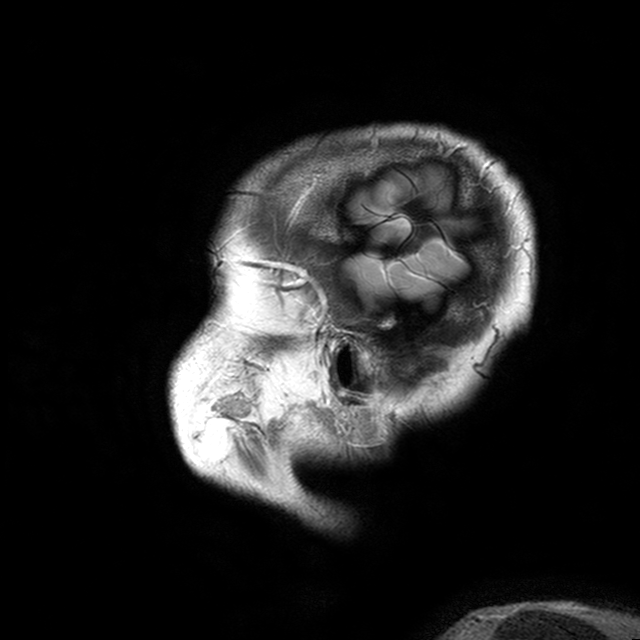
modality: 3 Tesla brain MRI
series: T2-weighted turbo spin echo with CLEAR
study: ring-enhancing brain masses